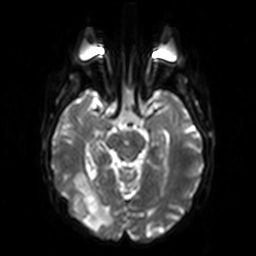
3 Tesla brain MRI.
Series: diffusion-weighted imaging.
Study: ring-enhancing brain masses.